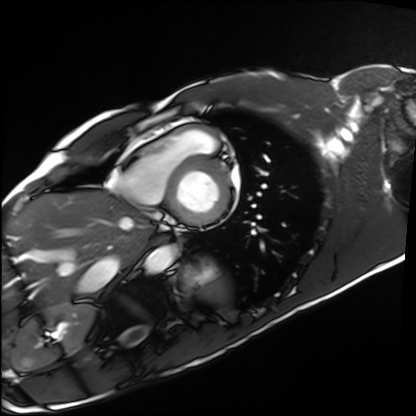
- modality · cardiac MRI
- subject group · healthy volunteer